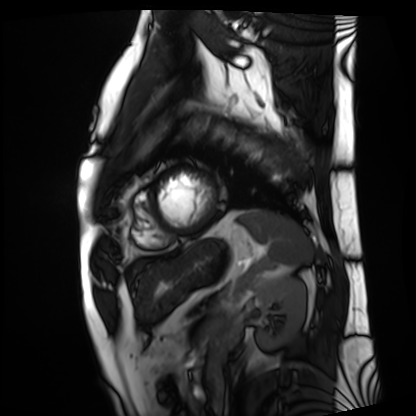
Q: What kind of scan is this?
A: Cardiac MRI.
Subject group: patient.